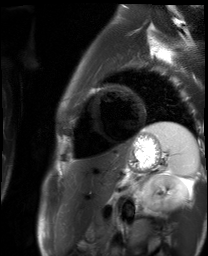
Cardiac MR image of the myocardium. Subject cohort: healthy volunteer.